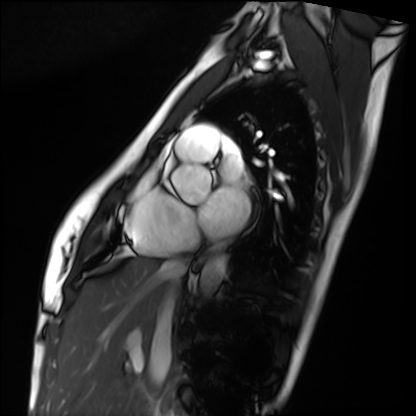
modality = cardiac MRI | subject group = healthy volunteer.